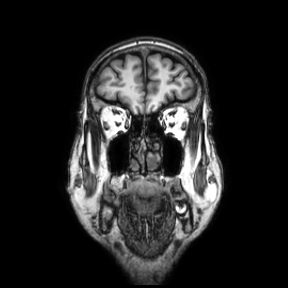
Q: What kind of scan is this?
A: 3 Tesla brain MRI.
Q: Series?
A: Coronal.
Study: ring-enhancing brain masses.